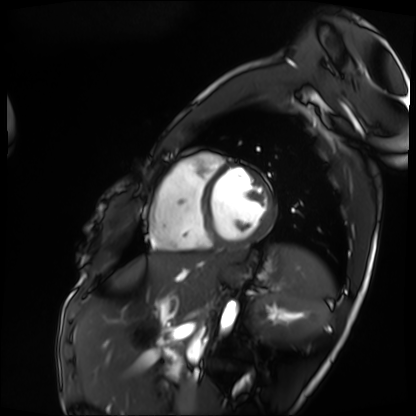
Cardiac MRI.
Subject group: patient.